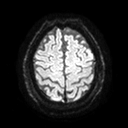
- modality — 3 Tesla brain MRI
- series — diffusion tensor imaging (medium iso)
- study — ring-enhancing brain masses